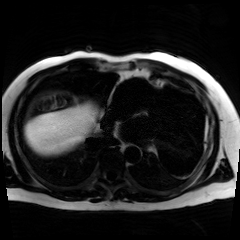
Chemical-shift-encoded cardiac MRI.